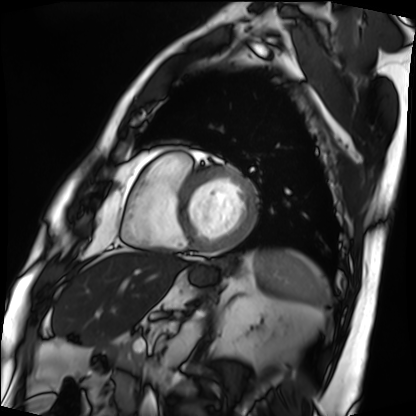
<study>
  <modality>cardiac MRI</modality>
  <cohort>patient</cohort>
</study>